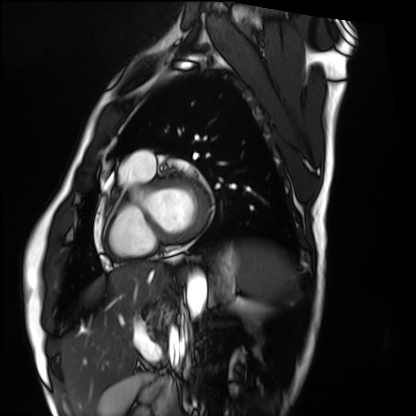
modality: cardiac MRI
cohort: healthy volunteer